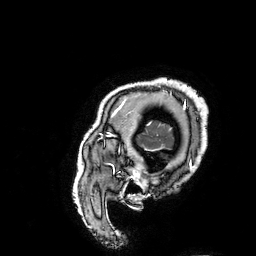
| field | value |
|---|---|
| modality | 3 Tesla brain MRI |
| series | 3D T1-weighted turbo field echo with SENSE |
| study | ring-enhancing brain masses |